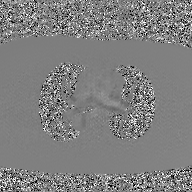
2D phase-contrast cine MRI of the ascending aorta, GAN super-resolution reconstruction.